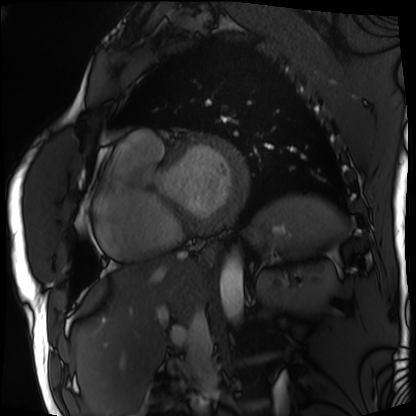
{
  "modality": "cardiac MRI",
  "cohort": "patient"
}